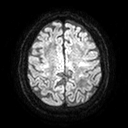
3 Tesla brain MRI. Series: diffusion tensor imaging (medium iso). Study: ring-enhancing brain masses.